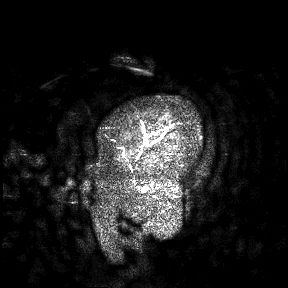
modality: 3 Tesla brain MRI
study: ring-enhancing brain masses